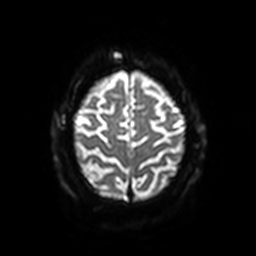
3 Tesla brain MRI. Series: diffusion-weighted imaging with SENSE (WIP). Study: ring-enhancing brain masses.